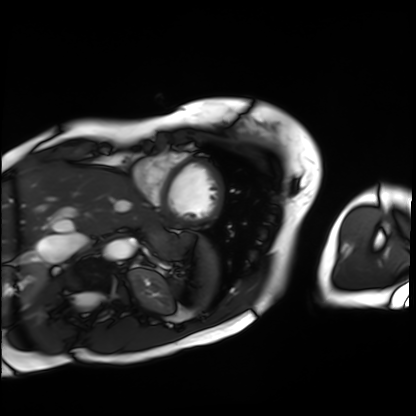
Cardiac MRI. Subject group: patient.